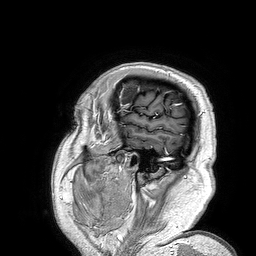
3 Tesla brain MRI.
Series: 3D T1-weighted turbo field echo.
Study: ring-enhancing brain masses.